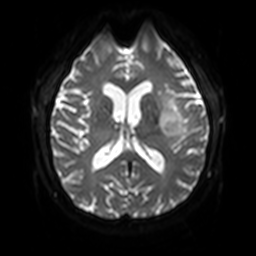
Q: What kind of scan is this?
A: 3 Tesla brain MRI.
Q: Series?
A: Diffusion-weighted imaging with SENSE (WIP).
Study: ring-enhancing brain masses.